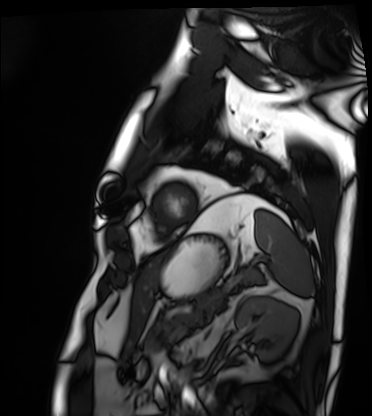
Cardiac MRI. Subject group: patient.